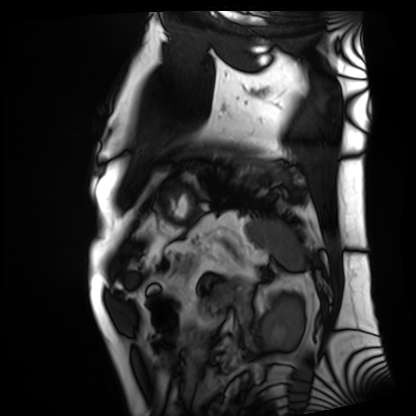
Cardiac MRI. Subject group: patient.